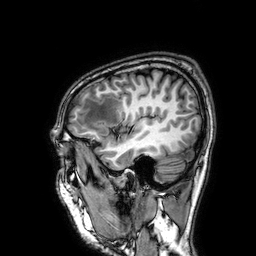
modality: 3 Tesla brain MRI; series: 3D T1-weighted; study: ring-enhancing brain masses.